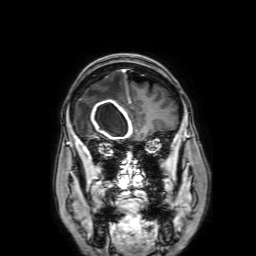
Case:
– modality: 3 Tesla brain MRI
– series: 3D T1-weighted with SENSE
– study: ring-enhancing brain masses